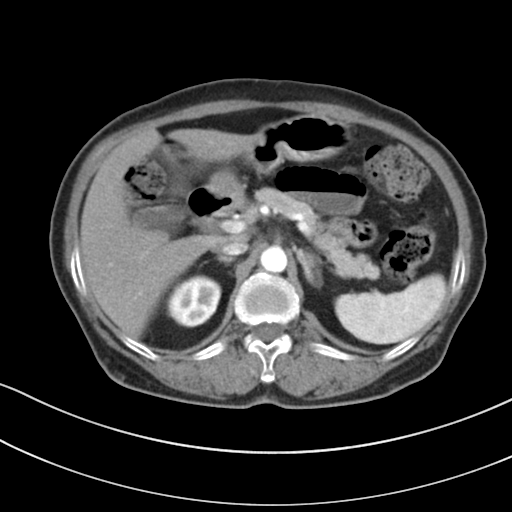
{"modality": {"type": "multiphase abdominal CT", "region": "liver", "phase": "arterial"}, "patient": {"sex": "female", "age": 72}}